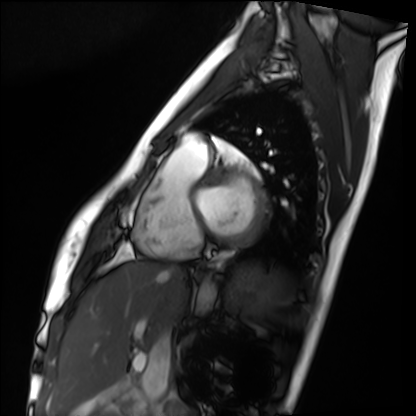
Q: What kind of scan is this?
A: Cardiac MRI.
Subject group: healthy volunteer.